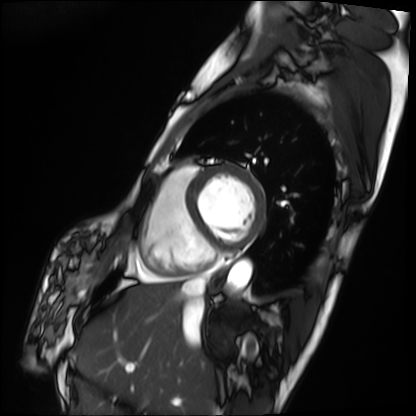
Q: What kind of scan is this?
A: Cardiac MRI.
Subject group: patient.